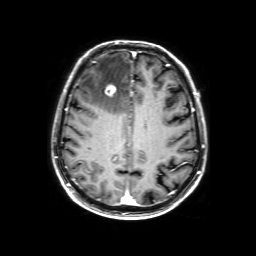
3 Tesla brain MRI.
Series: 3D T1-weighted with SENSE.
Study: ring-enhancing brain masses.